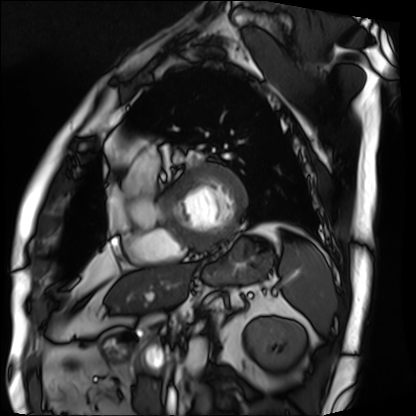
- modality · cardiac MRI
- subject group · patient